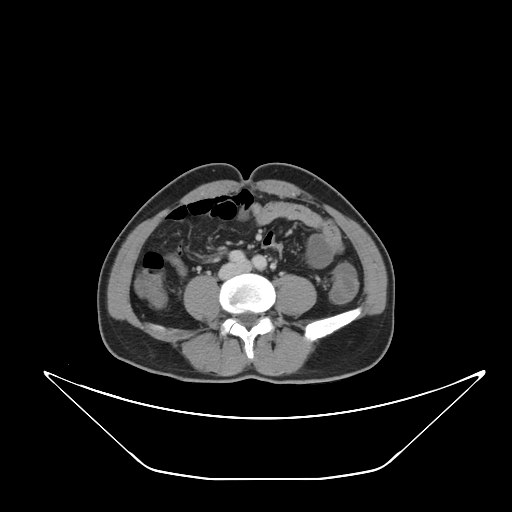
modality: multiphase abdominal CT, liver, portal venous phase; patient: male, age 56.